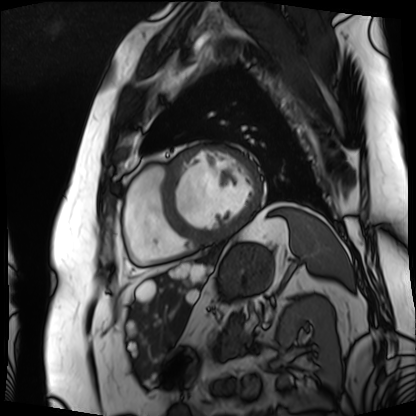
modality = cardiac MRI; subject group = patient.